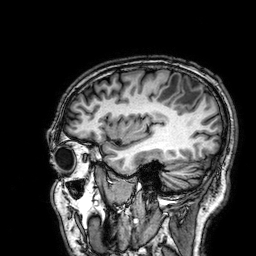
Case:
– modality: 3 Tesla brain MRI
– series: 3D T1-weighted
– study: ring-enhancing brain masses